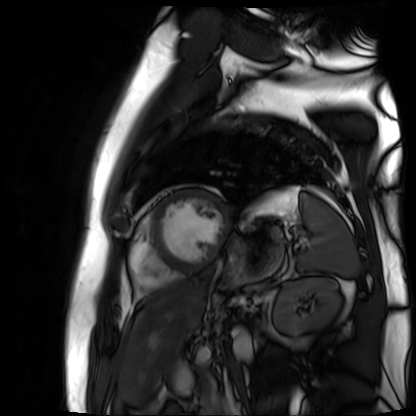
Summary:
Cardiac MR image of the myocardium. Subject cohort: cardiac patient.